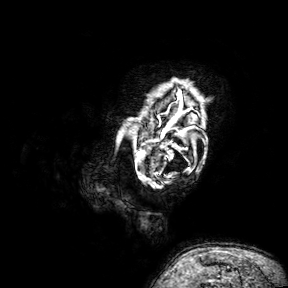
3 Tesla brain MRI.
Series: 3D T1-weighted turbo field echo with SENSE.
Study: ring-enhancing brain masses.